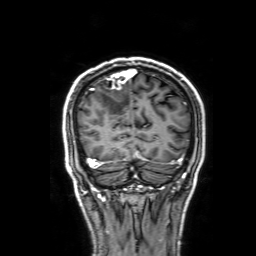
3 Tesla brain MRI. Series: 3D T1-weighted with SENSE. Study: ring-enhancing brain masses.